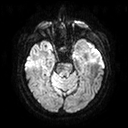
| field | value |
|---|---|
| modality | 3 Tesla brain MRI |
| series | diffusion tensor imaging (medium iso) |
| study | ring-enhancing brain masses |